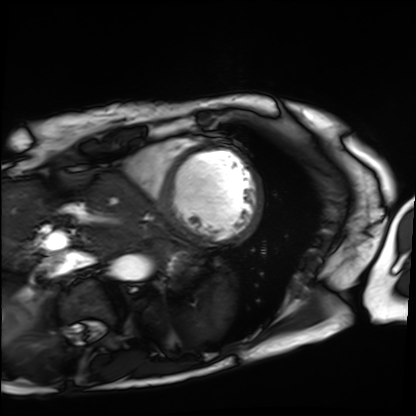
Cardiac MRI. Subject group: patient.